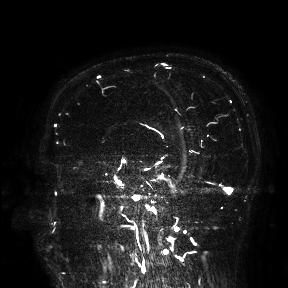
Case:
• modality · 3 Tesla brain MRI
• study · ring-enhancing brain masses